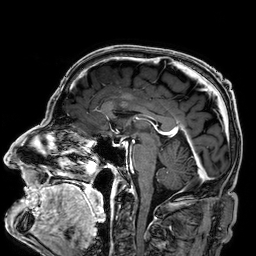
3 Tesla brain MRI.
Series: 3D T1-weighted.
Study: ring-enhancing brain masses.